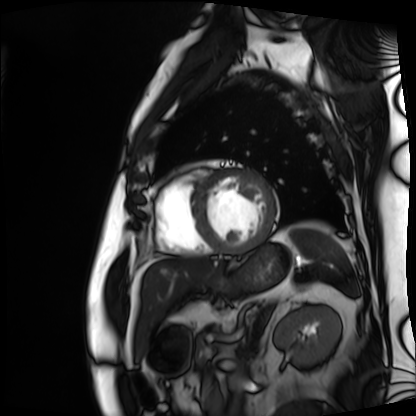
  modality: cardiac MRI
  cohort: patient